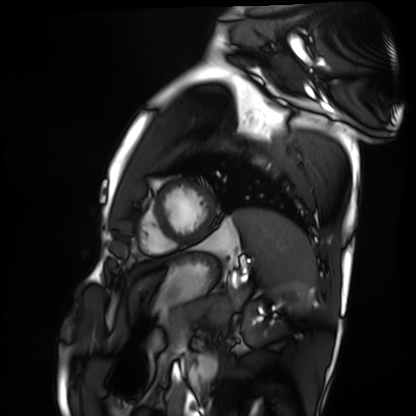
Q: What kind of scan is this?
A: Cardiac MRI.
Subject group: healthy volunteer.